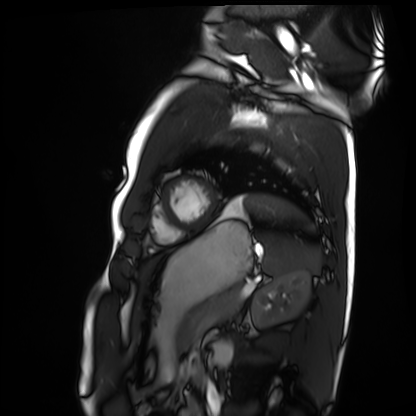
Case summary:
Cardiac MRI. Subject group: healthy volunteer.